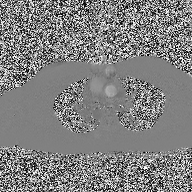
2D phase-contrast cine MRI of the ascending aorta, high-resolution GRAPPA acquisition.